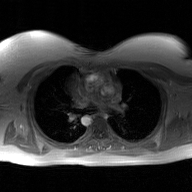
2D phase-contrast cine MRI of the ascending aorta, GAN super-resolution reconstruction.